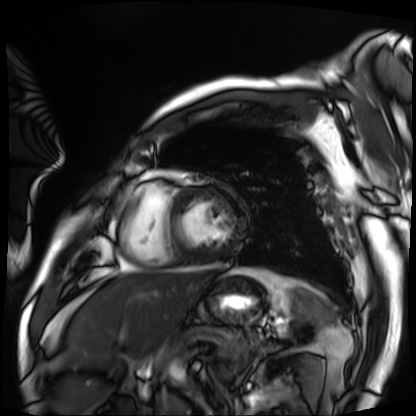
modality: cardiac MRI
cohort: patient